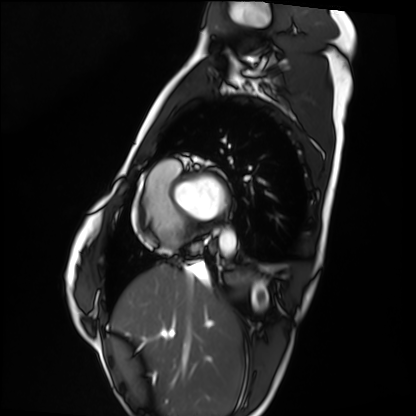
Summary: Cardiac MRI. Subject group: healthy volunteer.